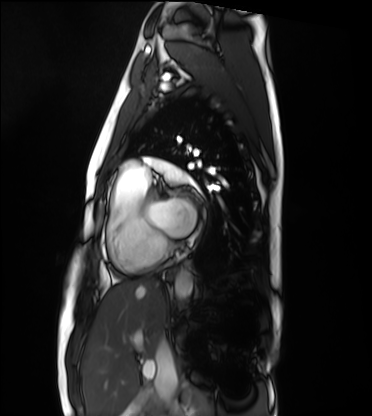
Cardiac MRI.
Subject group: healthy volunteer.